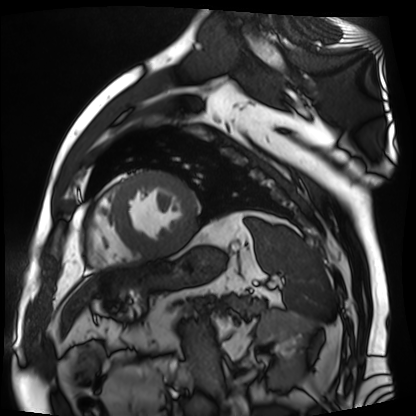
  modality: cardiac MR image of the myocardium
  cohort: cardiac patient